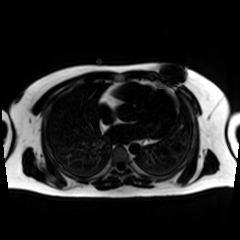
<record>
  <modality>chemical-shift-encoded cardiac MRI</modality>
</record>